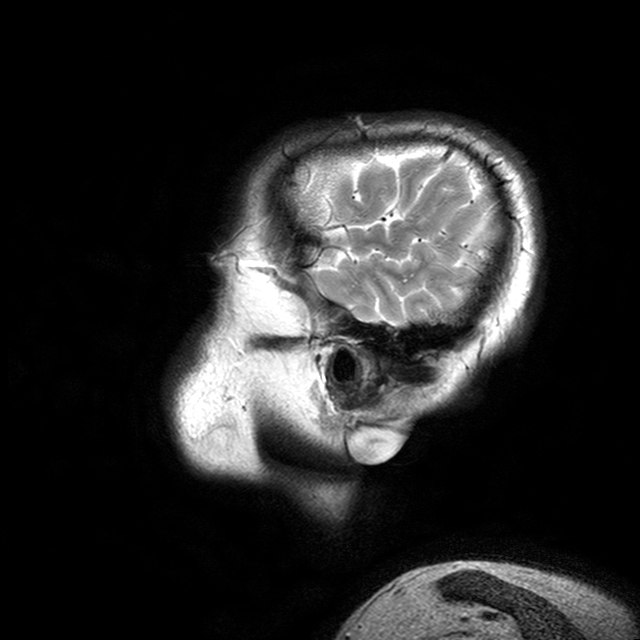
<scan>
  <modality>
    <type>brain MRI</type>
    <field_strength>3T</field_strength>
  </modality>
  <series>T2-weighted turbo spin echo with CLEAR</series>
  <study_topic>ring-enhancing brain masses</study_topic>
</scan>